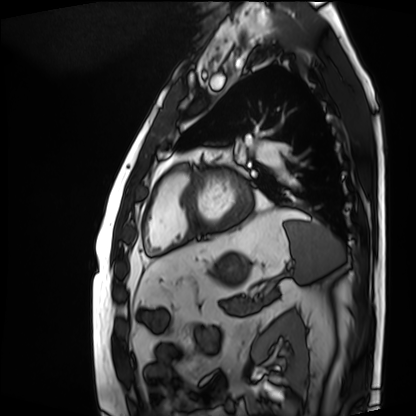
Cardiac MRI.
Subject group: patient.